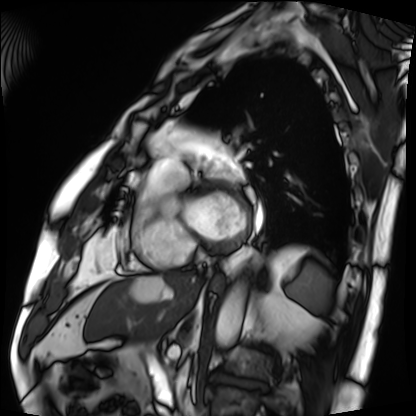
Clinical context: Cardiac MRI. Subject group: patient.